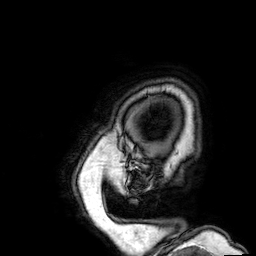
Q: What kind of scan is this?
A: 3 Tesla brain MRI.
Q: Series?
A: 3D T1-weighted.
Study: ring-enhancing brain masses.